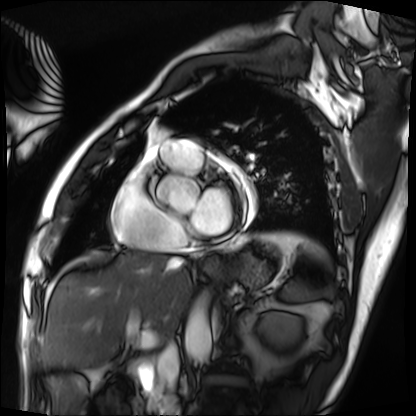
Cardiac MRI. Subject group: patient.